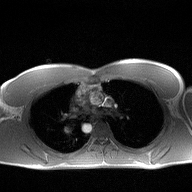
modality: 2D phase-contrast cine MRI of the ascending aorta.